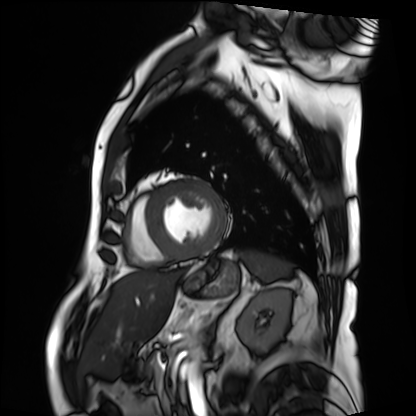
Cardiac MRI.
Subject group: patient.